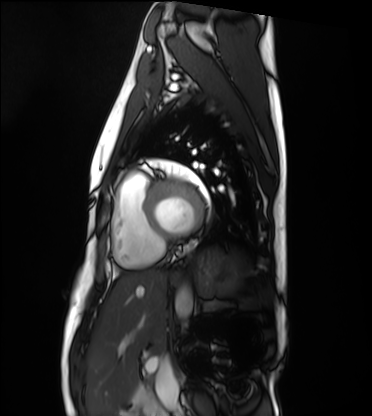
Summary: Cardiac MRI. Subject group: healthy volunteer.